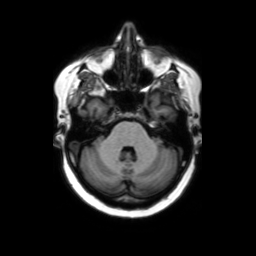
3 Tesla brain MRI. Series: axial without contrast. Study: ring-enhancing brain masses.